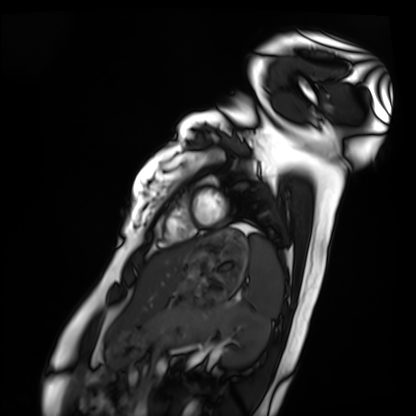
Case summary:
Cardiac MRI. Subject group: healthy volunteer.